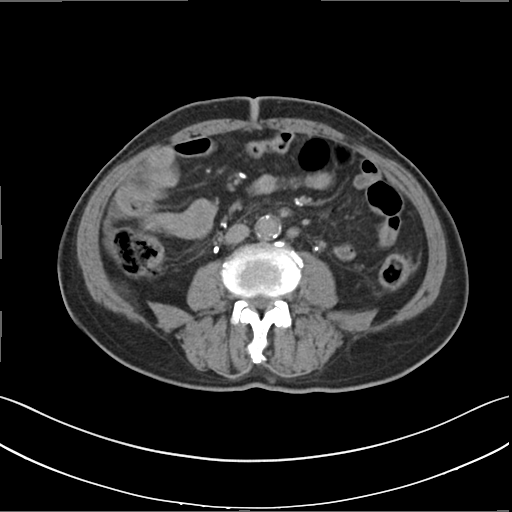
Case:
– modality — multiphase abdominal CT, liver, delayed phase
– patient — male, age 70
– history — cirrhosis